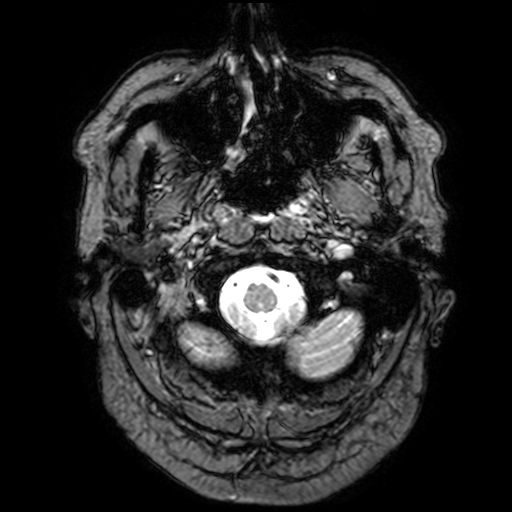
Q: What kind of scan is this?
A: 3 Tesla brain MRI.
Q: Series?
A: T2-weighted fast field echo with SENSE.
Study: ring-enhancing brain masses.